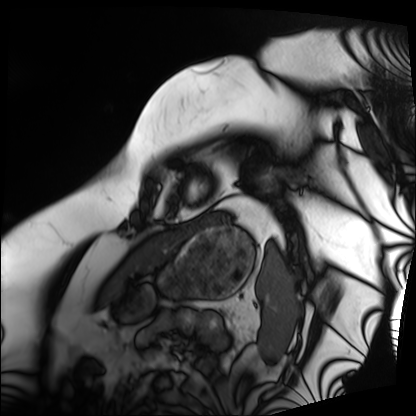
Q: What kind of scan is this?
A: Cardiac MRI.
Subject group: patient.